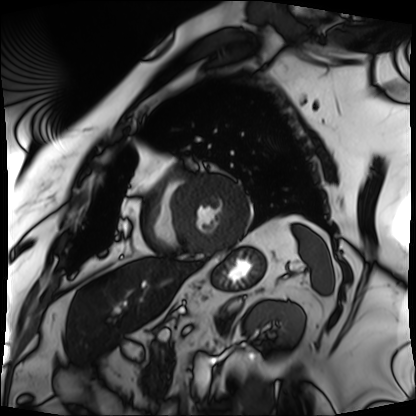
modality: cardiac MRI
subject group: patient